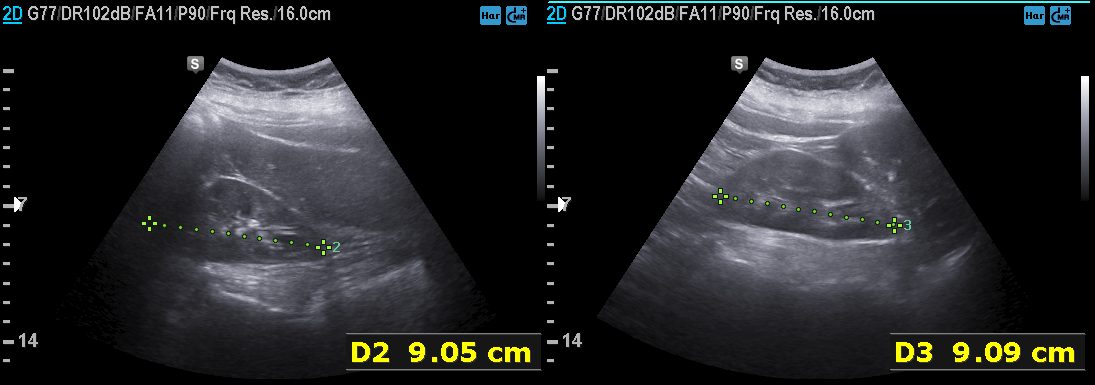
modality = genitourinary ultrasound